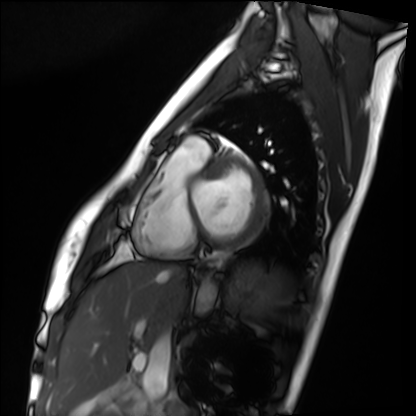
Case summary: Cardiac MRI. Subject group: healthy volunteer.